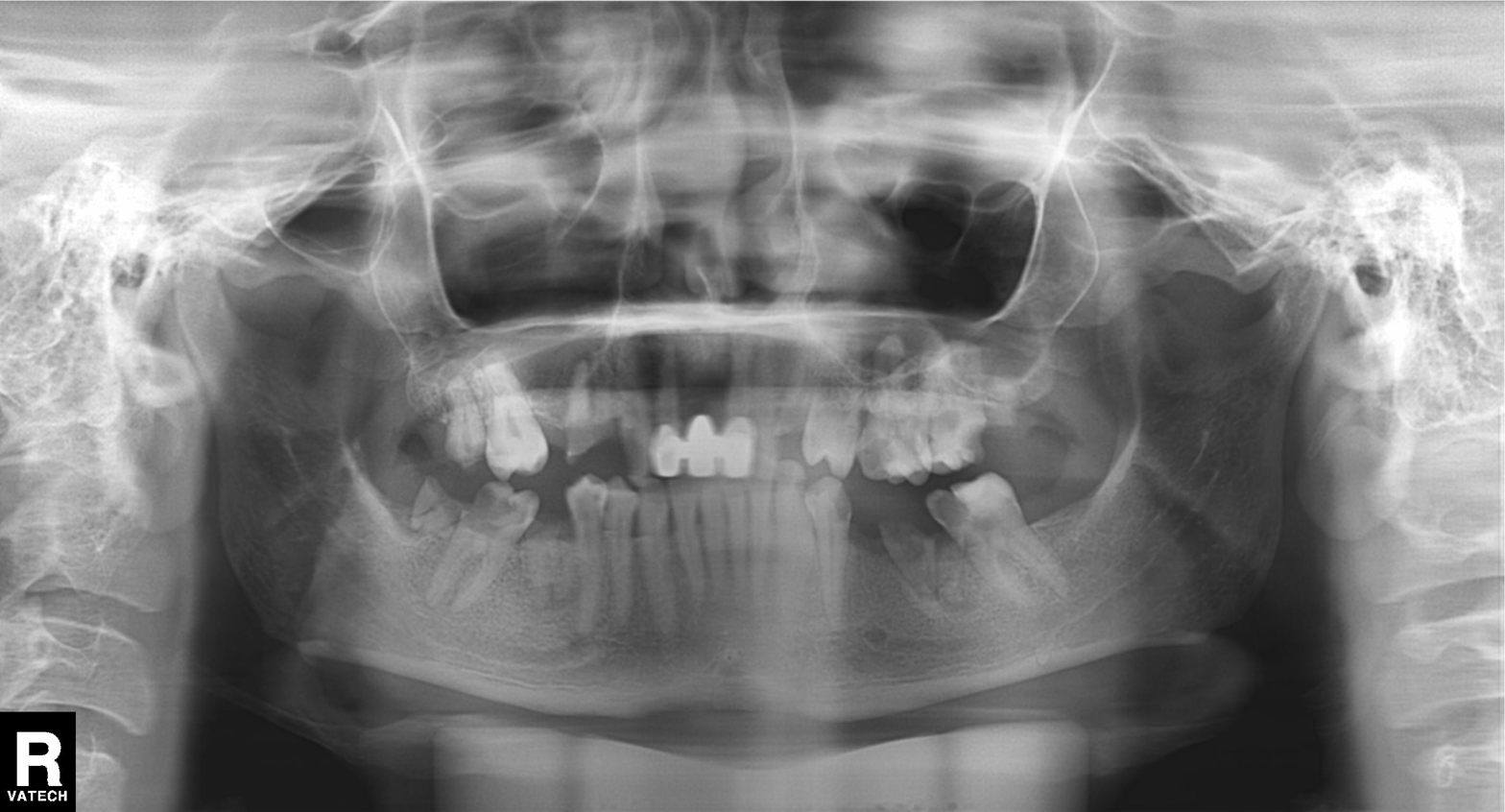
Panoramic dental radiograph (orthopantomogram). Finding: alveolar bone loss.